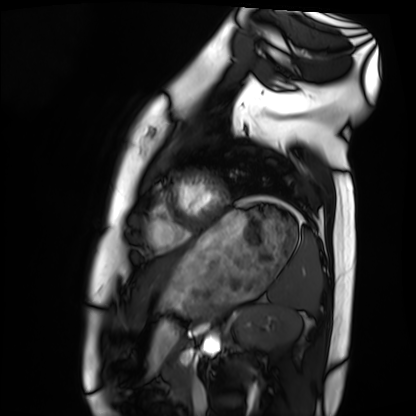
modality = cardiac MRI
subject group = healthy volunteer